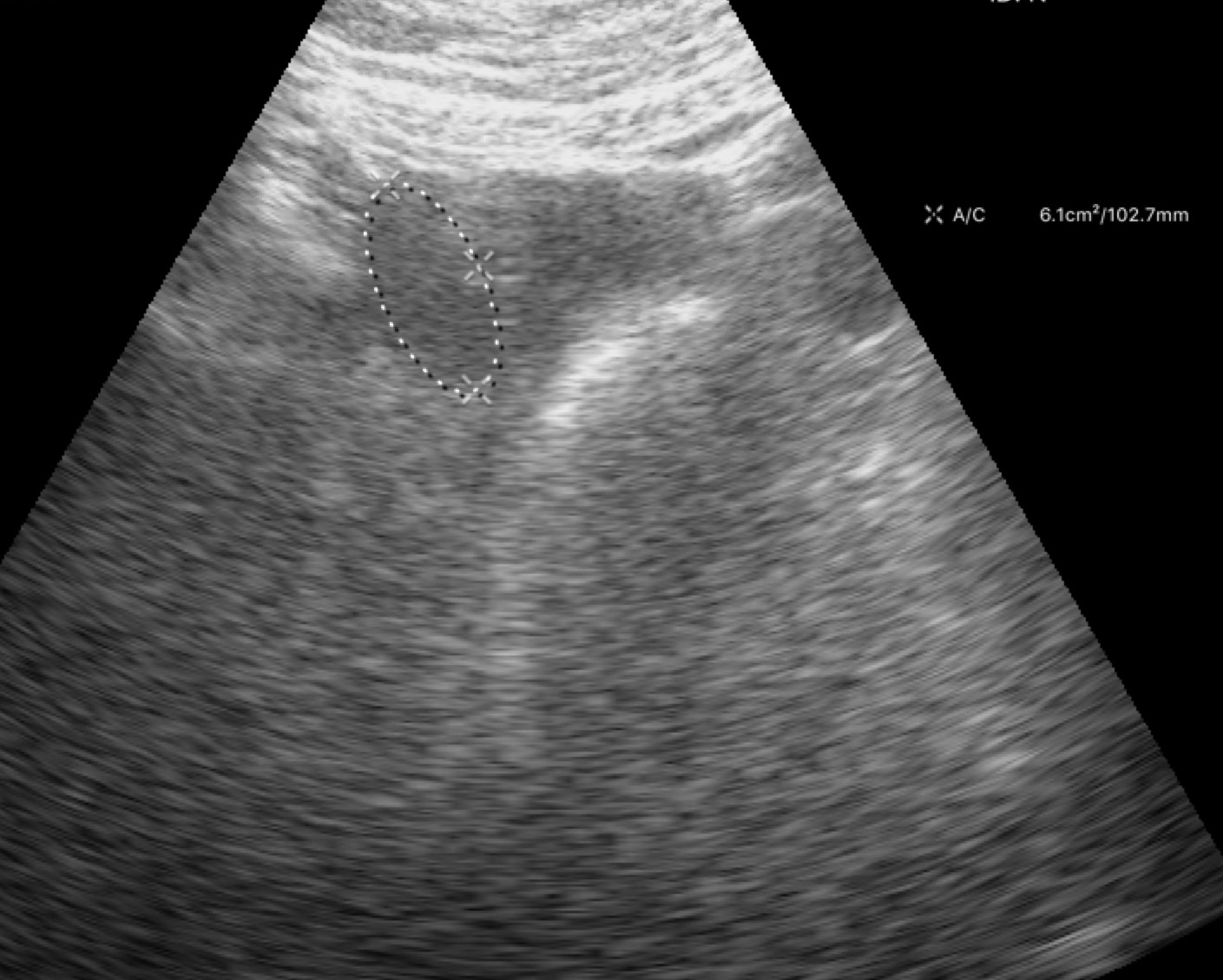
modality: genitourinary ultrasound.